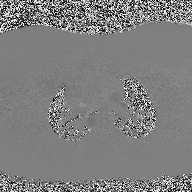
2D phase-contrast cine MRI of the ascending aorta, high-resolution GRAPPA acquisition.